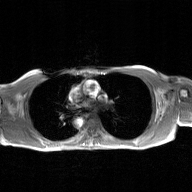
2D phase-contrast cine MRI of the ascending aorta, GAN super-resolution reconstruction.